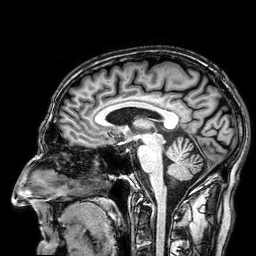
<case>
  <modality>
    <type>brain MRI</type>
    <field_strength>3T</field_strength>
  </modality>
  <series>3D T1-weighted</series>
  <study_topic>ring-enhancing brain masses</study_topic>
</case>